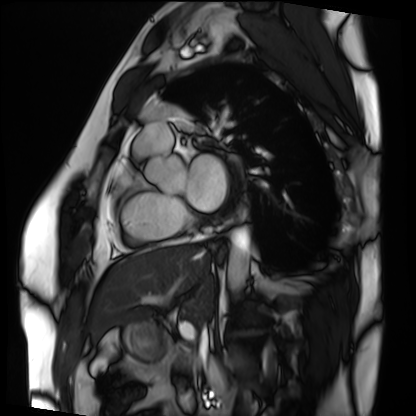
{"modality": "cardiac MRI", "cohort": "patient"}